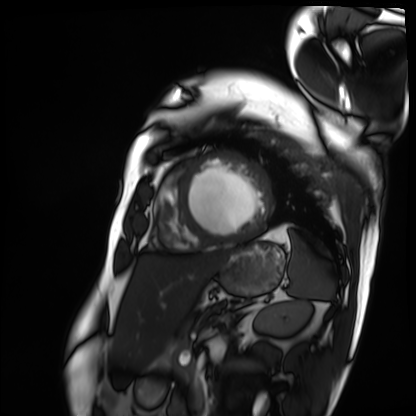
Cardiac MRI.
Subject group: patient.